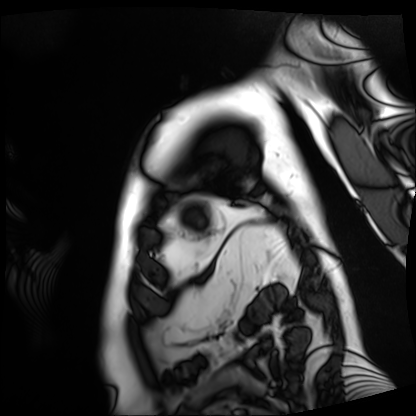
| field | value |
|---|---|
| modality | cardiac MRI |
| subject group | patient |